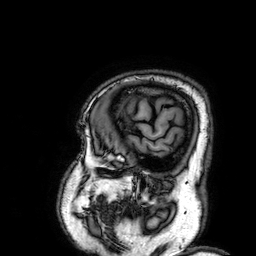
Case:
• modality — 3 Tesla brain MRI
• series — 3D T1-weighted
• study — ring-enhancing brain masses